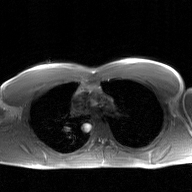
– modality · 2D phase-contrast cine MRI of the ascending aorta, GAN super-resolution reconstruction